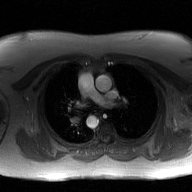
2D phase-contrast cine MRI of the ascending aorta, GAN super-resolution reconstruction.